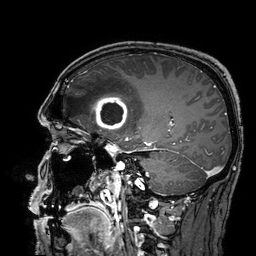
3 Tesla brain MRI.
Series: 3D T1-weighted turbo field echo with SENSE.
Study: ring-enhancing brain masses.